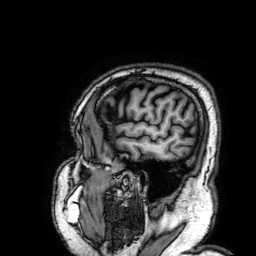
Summary: 3 Tesla brain MRI. Series: 3D T1-weighted. Study: ring-enhancing brain masses.